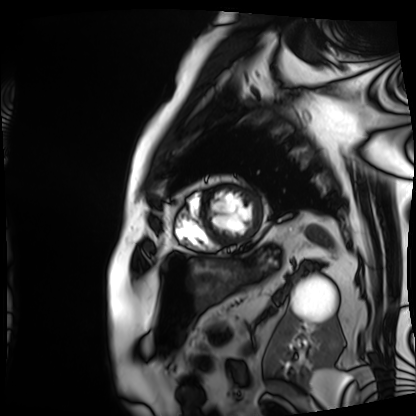
Cardiac MRI. Subject group: patient.